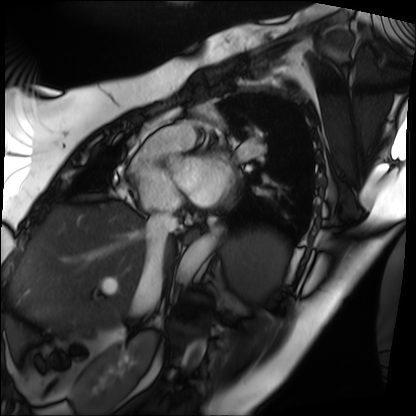
Cardiac MRI. Subject group: patient.